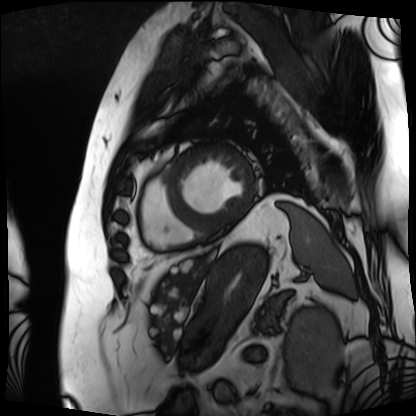
| field | value |
|---|---|
| modality | cardiac MRI |
| subject group | patient |